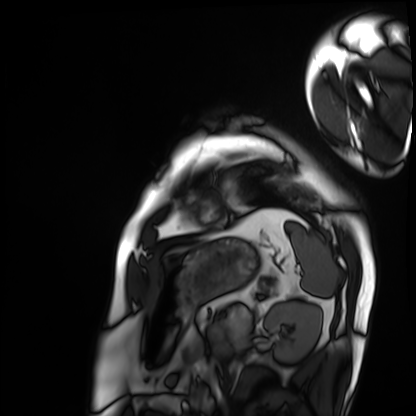
Cardiac MRI. Subject group: patient.